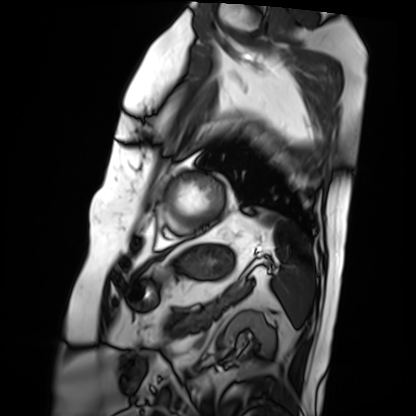
– modality · cardiac MRI
– subject group · patient